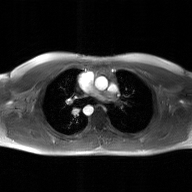
| field | value |
|---|---|
| modality | 2D phase-contrast cine MRI of the ascending aorta, GAN super-resolution reconstruction |